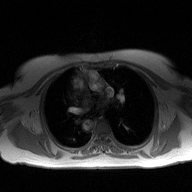
| field | value |
|---|---|
| modality | 2D phase-contrast cine MRI of the ascending aorta |